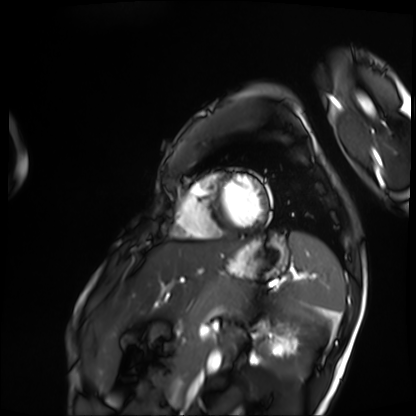
Summary: Cardiac MRI. Subject group: patient.